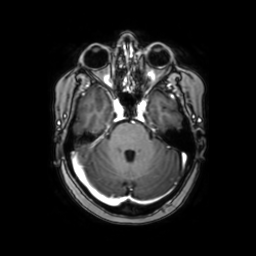
3 Tesla brain MRI.
Series: axial with contrast.
Study: ring-enhancing brain masses.